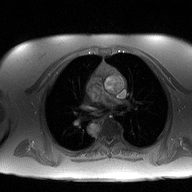
Q: What kind of scan is this?
A: 2D phase-contrast cine MRI of the ascending aorta.